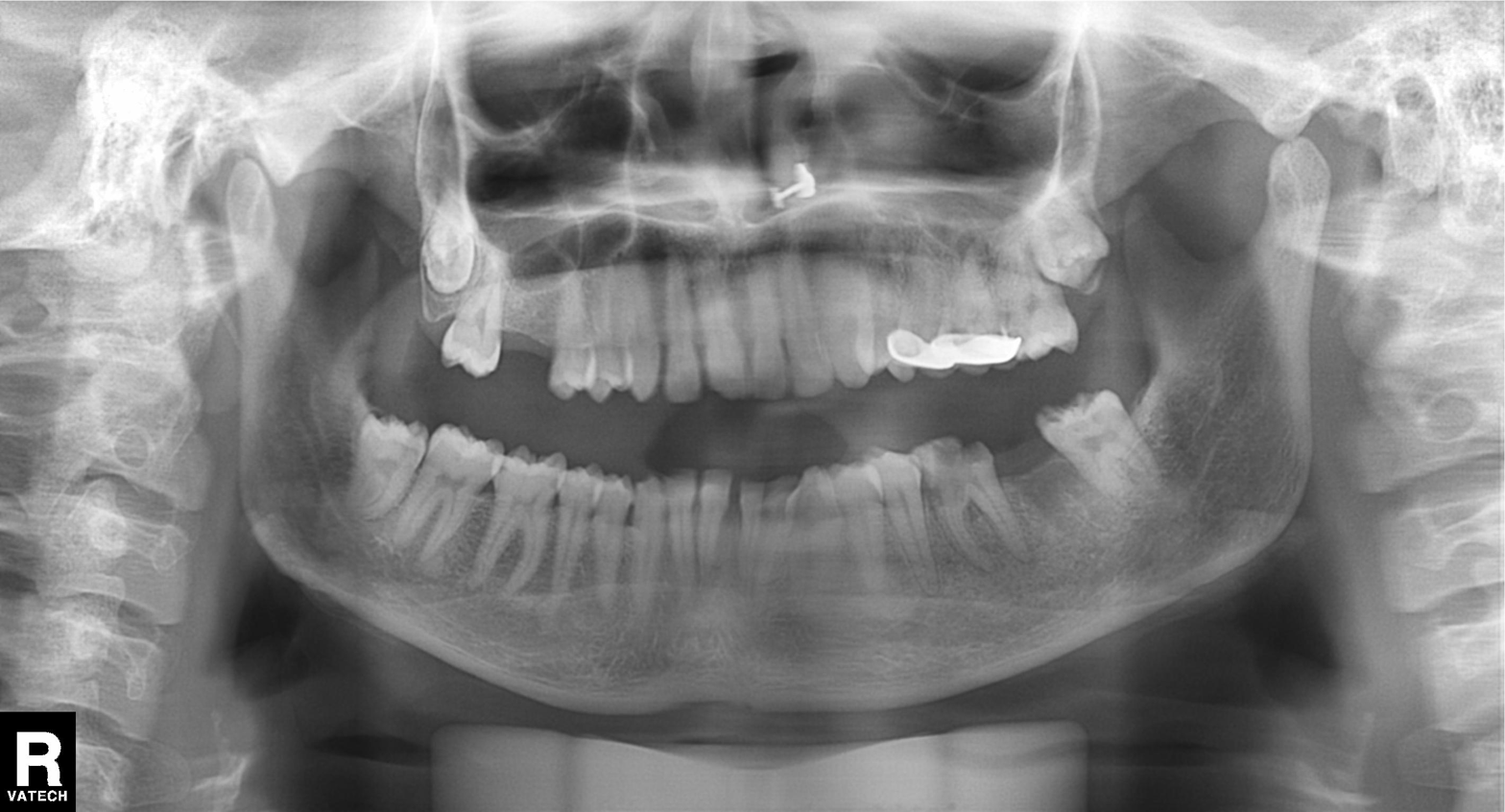
Panoramic dental radiograph (orthopantomogram). Finding: dental caries (cavities).